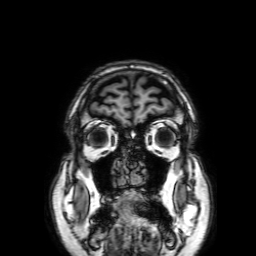
Summary:
3 Tesla brain MRI. Series: 3D T1-weighted with SENSE. Study: ring-enhancing brain masses.